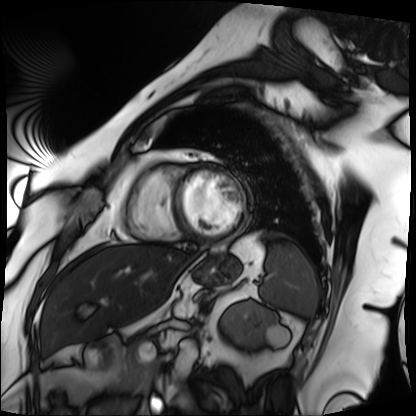
Cardiac MRI.
Subject group: patient.